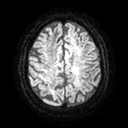
Q: What kind of scan is this?
A: 3 Tesla brain MRI.
Q: Series?
A: Diffusion tensor imaging (medium iso).
Study: ring-enhancing brain masses.